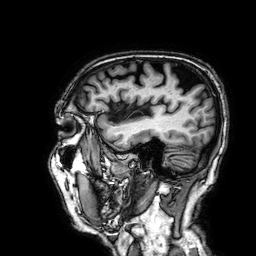
Case summary: 3 Tesla brain MRI. Series: 3D T1-weighted. Study: ring-enhancing brain masses.